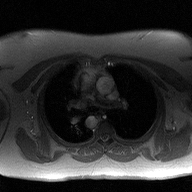
modality — 2D phase-contrast cine MRI of the ascending aorta.